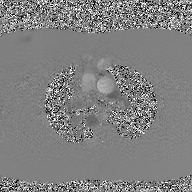
<record>
  <modality>
    <type>2D phase-contrast cine MRI</type>
    <region>ascending aorta</region>
    <reconstruction>GAN super-resolution reconstruction</reconstruction>
  </modality>
</record>